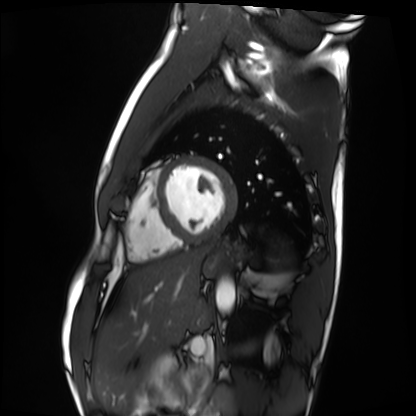
| field | value |
|---|---|
| modality | cardiac MRI |
| subject group | healthy volunteer |